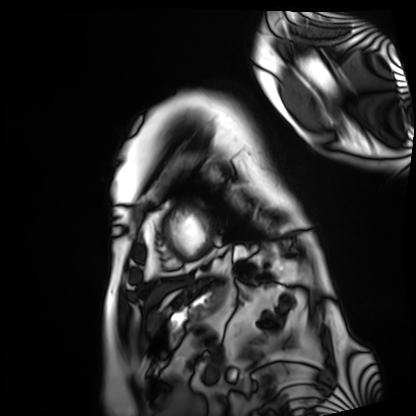
modality: cardiac MRI
cohort: patient